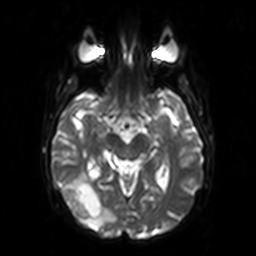
modality = 3 Tesla brain MRI; series = diffusion-weighted imaging; study = ring-enhancing brain masses.